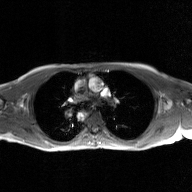
Case summary:
2D phase-contrast cine MRI of the ascending aorta, GAN super-resolution reconstruction.